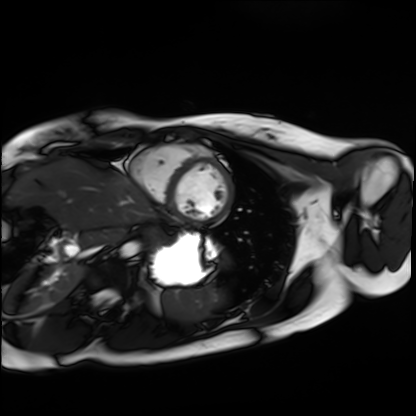
Cardiac MRI. Subject group: healthy volunteer.